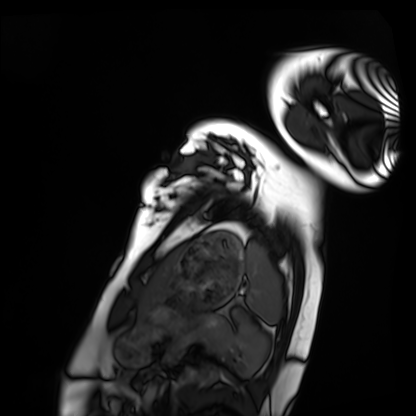
Cardiac MRI.
Subject group: healthy volunteer.